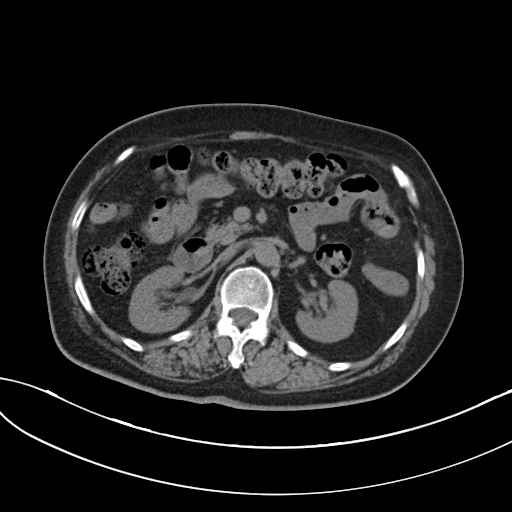
Multiphase abdominal CT, liver, non-contrast phase. Patient: female, age 73.